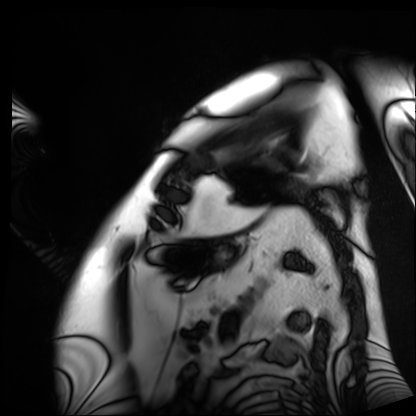
Clinical context:
Cardiac MRI. Subject group: patient.